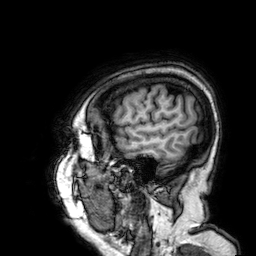
{"modality": {"type": "brain MRI", "field_strength": "3T"}, "series": "3D T1-weighted", "study_topic": "ring-enhancing brain masses"}